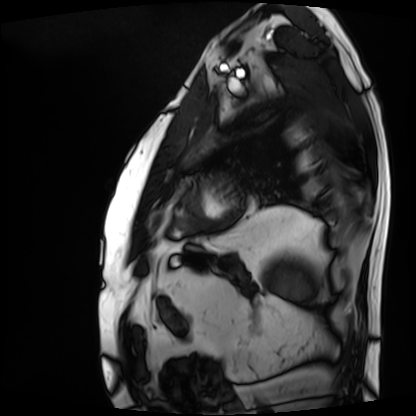
Cardiac MRI.
Subject group: patient.